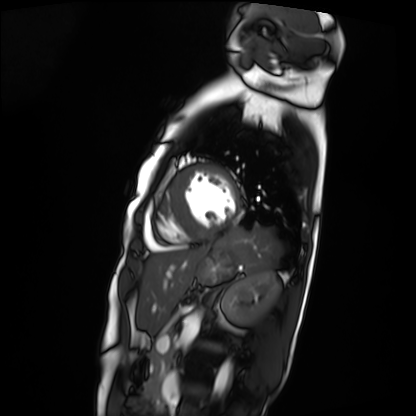
{"modality": "cardiac MRI", "cohort": "patient"}